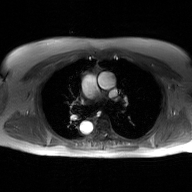
<scan>
  <modality>
    <type>2D phase-contrast cine MRI</type>
    <region>ascending aorta</region>
    <reconstruction>GAN super-resolution reconstruction</reconstruction>
  </modality>
</scan>